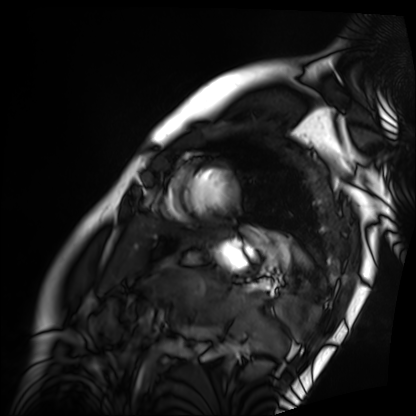
Cardiac MRI. Subject group: patient.